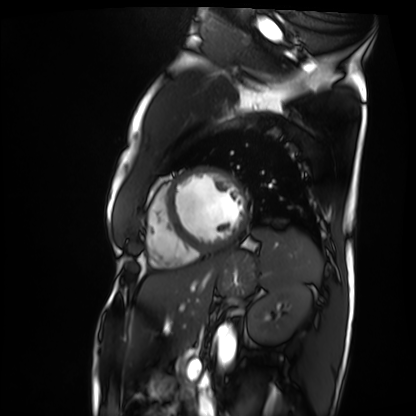
Cardiac MRI.
Subject group: patient.